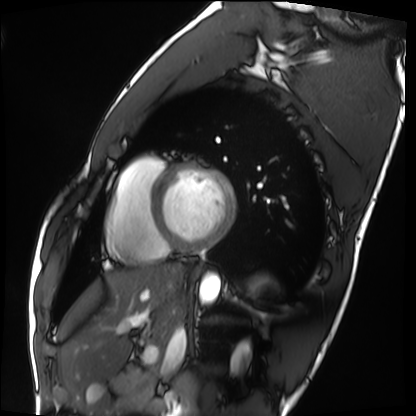
Summary: Cardiac MRI. Subject group: healthy volunteer.